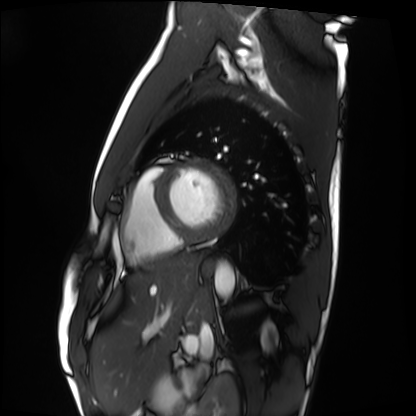
Cardiac MRI.
Subject group: healthy volunteer.